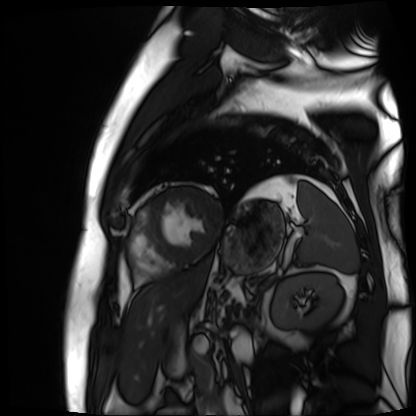
Clinical context: Cardiac MR image of the myocardium. Subject cohort: cardiac patient.